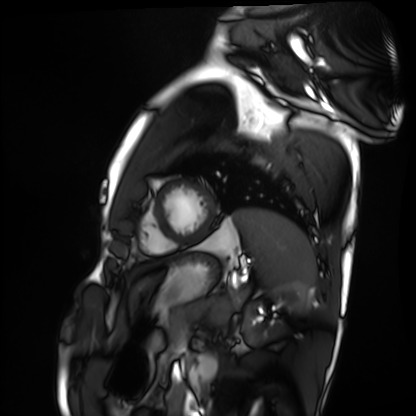
modality=cardiac MRI
subject group=healthy volunteer